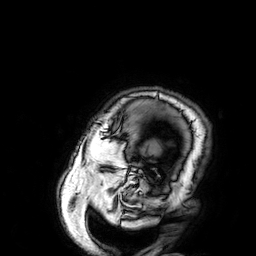
| field | value |
|---|---|
| modality | 3 Tesla brain MRI |
| series | 3D T1-weighted |
| study | ring-enhancing brain masses |